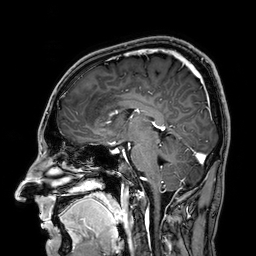
<case>
  <modality>
    <type>brain MRI</type>
    <field_strength>3T</field_strength>
  </modality>
  <series>3D T1-weighted</series>
  <study_topic>ring-enhancing brain masses</study_topic>
</case>